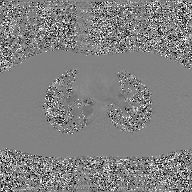
modality: 2D phase-contrast cine MRI of the ascending aorta, GAN super-resolution reconstruction.